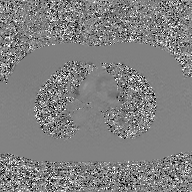
2D phase-contrast cine MRI of the ascending aorta, GAN super-resolution reconstruction.